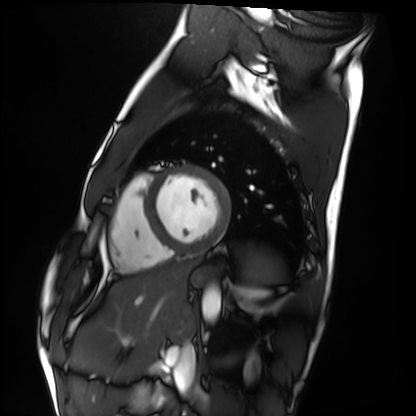
Summary: Cardiac MRI. Subject group: healthy volunteer.